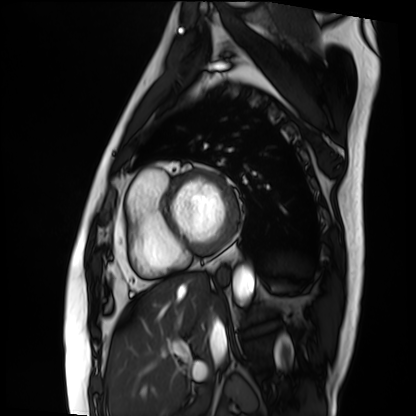
• modality: cardiac MRI
• subject group: patient